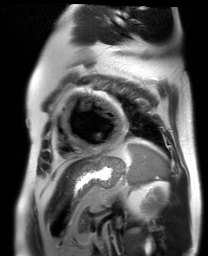
Case:
* modality · cardiac MR image of the myocardium
* subject cohort · cardiac patient